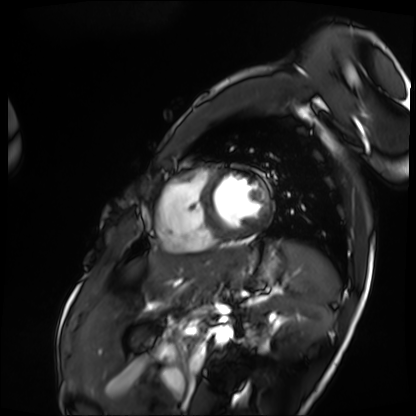
modality: cardiac MRI
subject group: patient